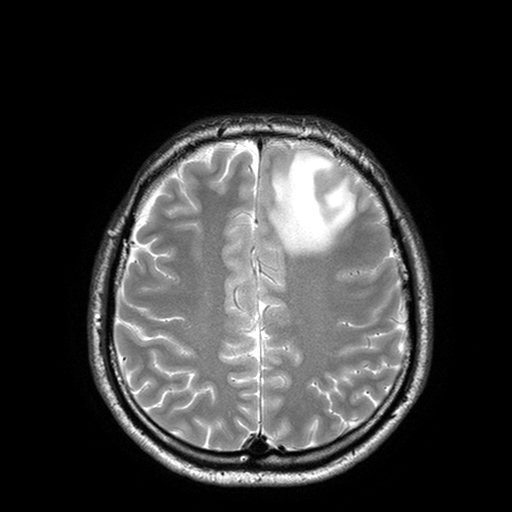
3 Tesla brain MRI. Series: T2-weighted turbo spin echo with SENSE. Study: ring-enhancing brain masses.